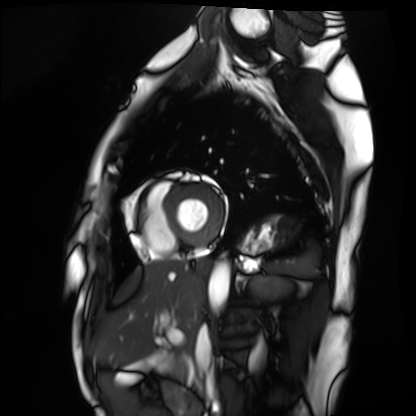
Cardiac MRI.
Subject group: healthy volunteer.